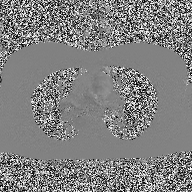
modality: 2D phase-contrast cine MRI of the ascending aorta.